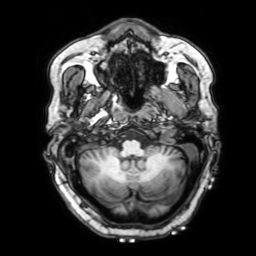
| field | value |
|---|---|
| modality | 3 Tesla brain MRI |
| series | 3D T1-weighted with SENSE |
| study | ring-enhancing brain masses |